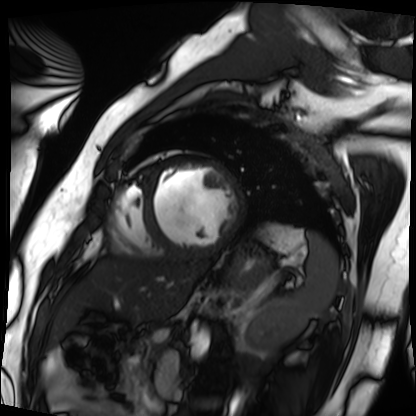
– modality — cardiac MRI
– subject group — patient